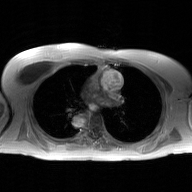
Q: What kind of scan is this?
A: 2D phase-contrast cine MRI of the ascending aorta, GAN super-resolution reconstruction.